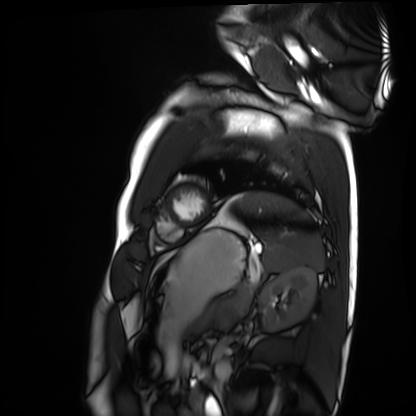
Summary:
Cardiac MRI. Subject group: healthy volunteer.